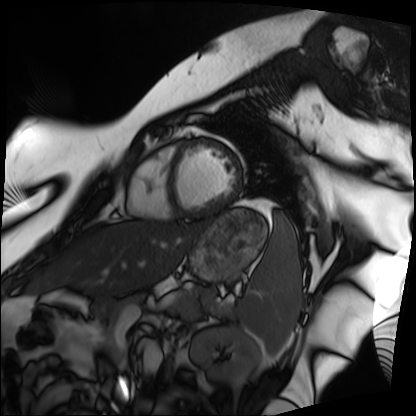
{"modality": "cardiac MRI", "cohort": "patient"}